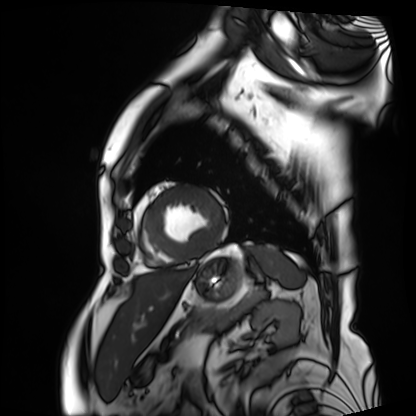
– modality: cardiac MRI
– subject group: patient